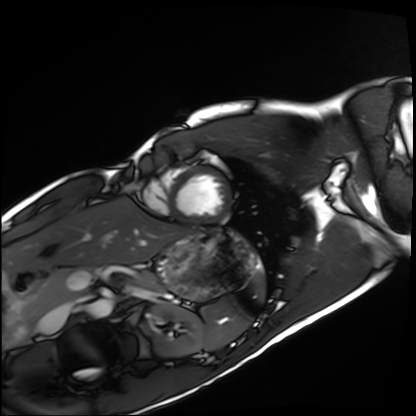
Clinical context:
Cardiac MRI. Subject group: healthy volunteer.